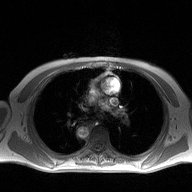
– modality — 2D phase-contrast cine MRI of the ascending aorta